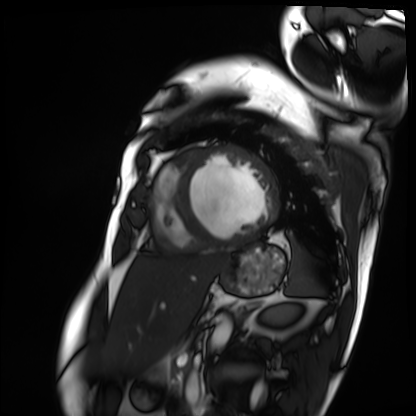
Cardiac MRI.
Subject group: patient.